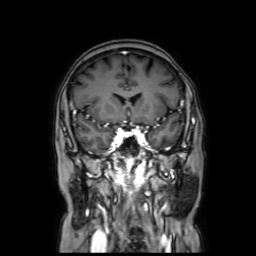
Clinical context:
3 Tesla brain MRI. Series: coronal with contrast. Study: ring-enhancing brain masses.